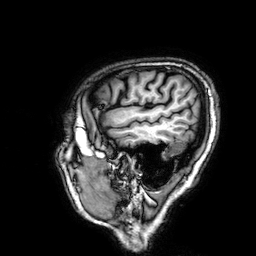
3 Tesla brain MRI.
Study: ring-enhancing brain masses.